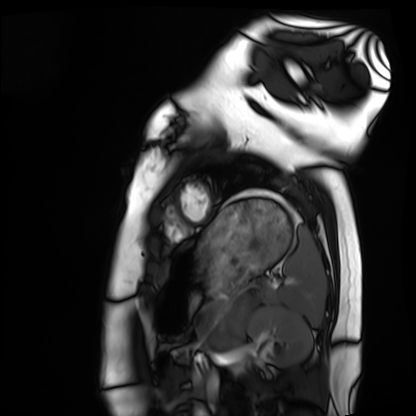
Summary: Cardiac MRI. Subject group: healthy volunteer.